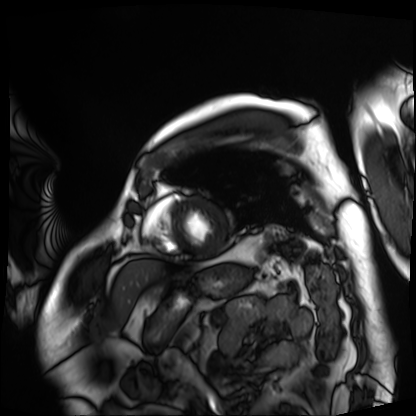
Cardiac MRI. Subject group: patient.